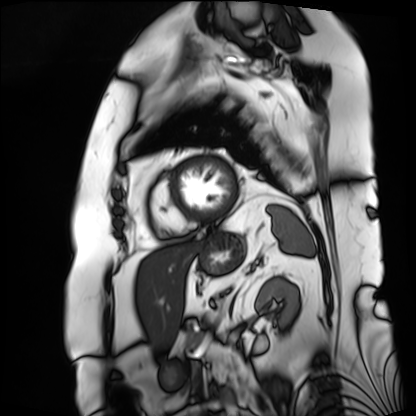
modality=cardiac MRI
subject group=patient